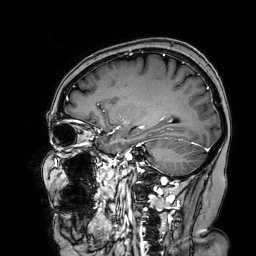
| field | value |
|---|---|
| modality | 3 Tesla brain MRI |
| series | 3D T1-weighted turbo field echo with SENSE |
| study | ring-enhancing brain masses |